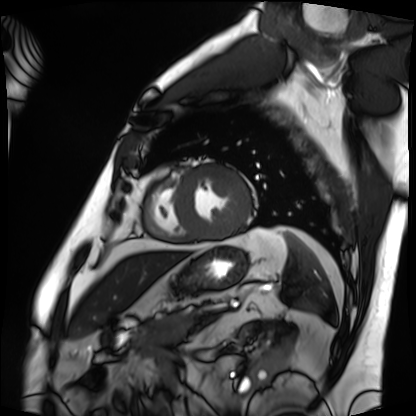
modality: cardiac MRI; subject group: patient.